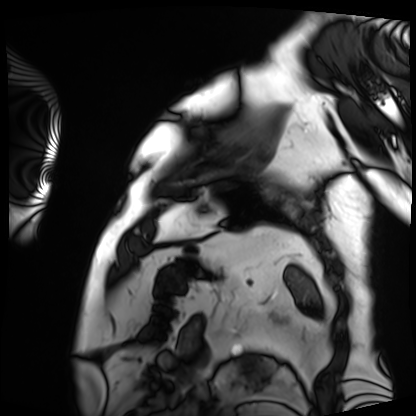
Cardiac MRI.
Subject group: patient.